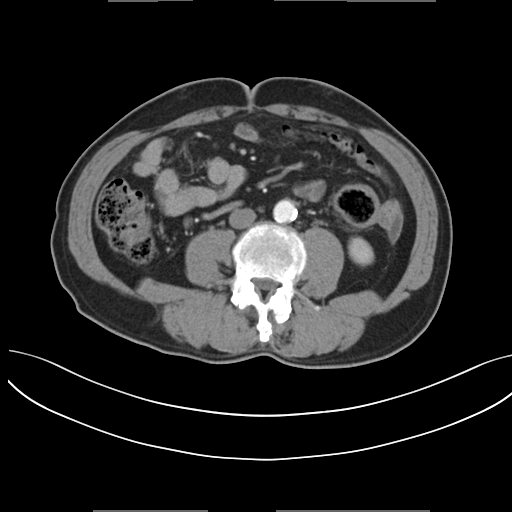
Q: What kind of scan is this?
A: Multiphase abdominal CT, liver, arterial phase.
Q: Patient?
A: Male, age 61.
Q: History?
A: Prior chemotherapy.